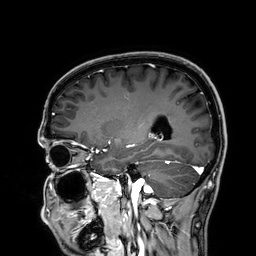
modality: 3 Tesla brain MRI; series: 3D T1-weighted; study: ring-enhancing brain masses.